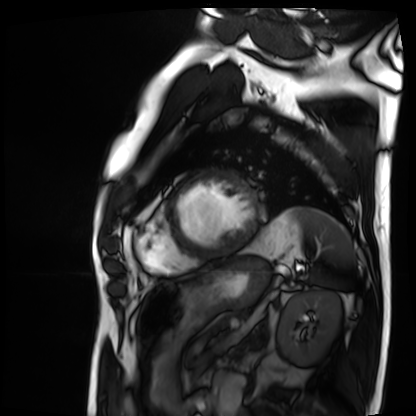
  modality: cardiac MRI
  cohort: patient